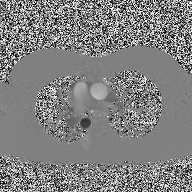
modality = 2D phase-contrast cine MRI of the ascending aorta